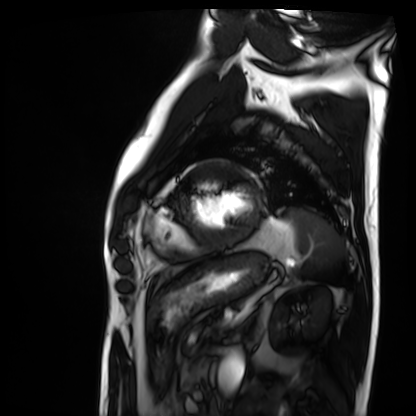
<scan>
  <modality>cardiac MRI</modality>
  <cohort>patient</cohort>
</scan>